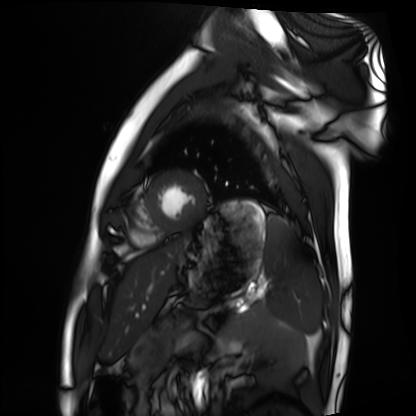
<study>
<modality>cardiac MRI</modality>
<cohort>healthy volunteer</cohort>
</study>